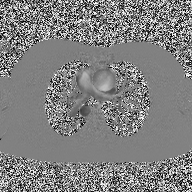
Case:
– modality — 2D phase-contrast cine MRI of the ascending aorta